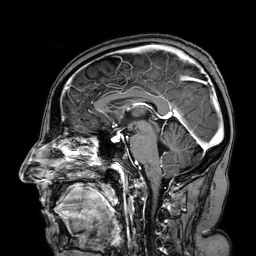
3 Tesla brain MRI. Series: 3D T1-weighted turbo field echo with SENSE. Study: ring-enhancing brain masses.